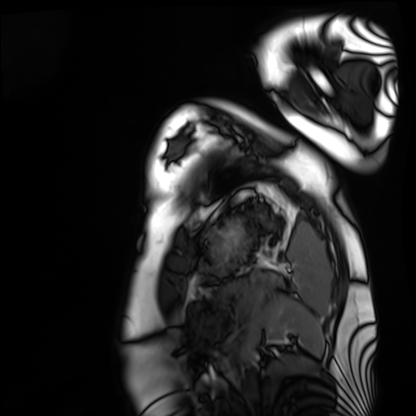
Cardiac MRI.
Subject group: healthy volunteer.